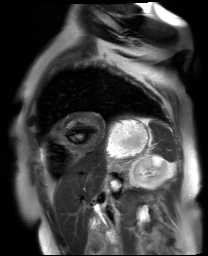
{
  "modality": "cardiac MR image of the myocardium",
  "cohort": "cardiac patient"
}